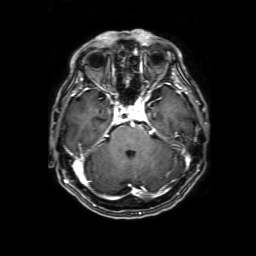
<scan>
<modality>
  <type>brain MRI</type>
  <field_strength>3T</field_strength>
</modality>
<study_topic>ring-enhancing brain masses</study_topic>
</scan>